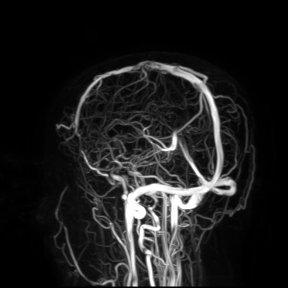
modality = 3 Tesla brain MRI; study = ring-enhancing brain masses.